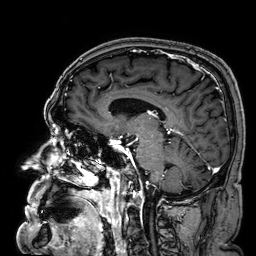
<case>
<modality>
  <type>brain MRI</type>
  <field_strength>3T</field_strength>
</modality>
<series>3D T1-weighted</series>
<study_topic>ring-enhancing brain masses</study_topic>
</case>